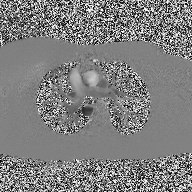
Case:
* modality · 2D phase-contrast cine MRI of the ascending aorta